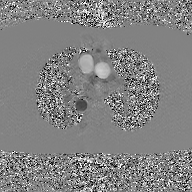
modality: 2D phase-contrast cine MRI of the ascending aorta, GAN super-resolution reconstruction.